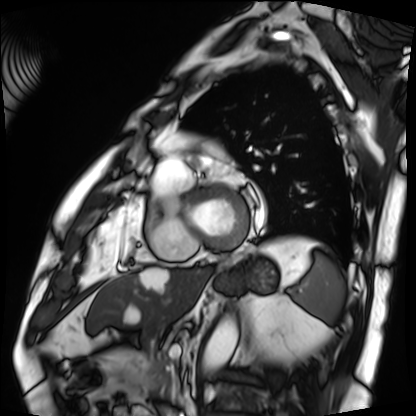
Cardiac MRI. Subject group: patient.